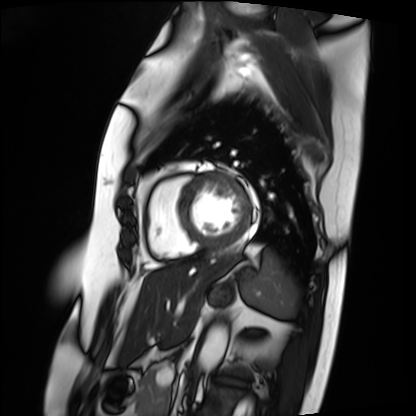
modality: cardiac MRI; subject group: patient.